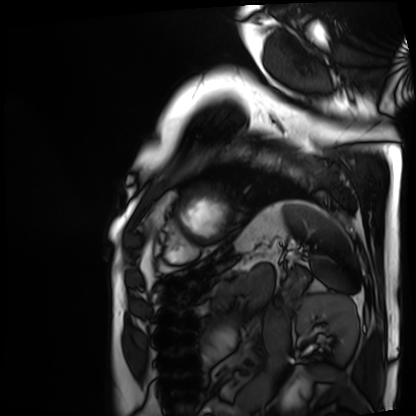
Q: What kind of scan is this?
A: Cardiac MRI.
Subject group: patient.